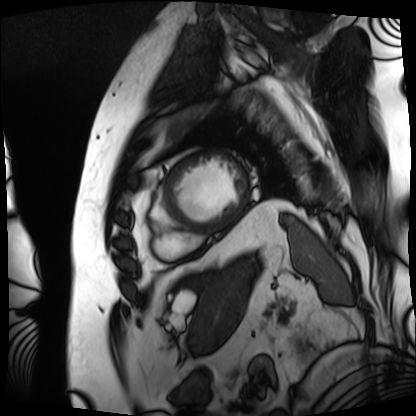
- modality — cardiac MRI
- subject group — patient